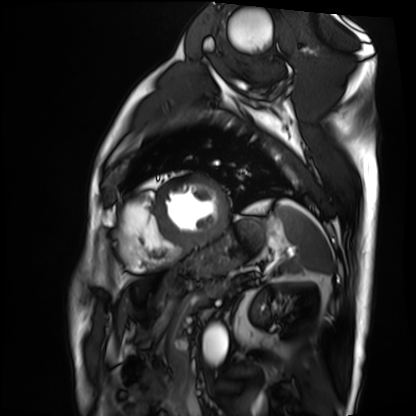
Cardiac MRI. Subject group: patient.